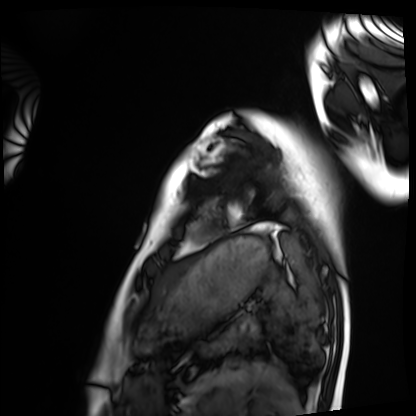
Q: What kind of scan is this?
A: Cardiac MRI.
Subject group: healthy volunteer.